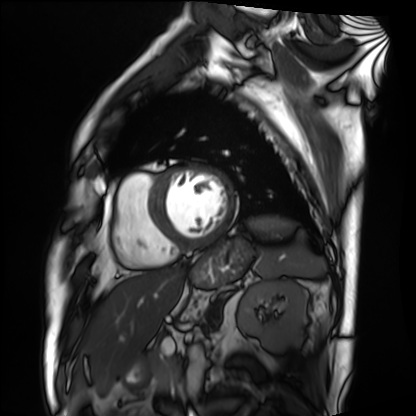
Clinical context:
Cardiac MRI. Subject group: patient.